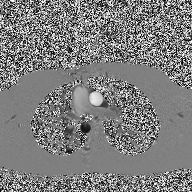
– modality: 2D phase-contrast cine MRI of the ascending aorta